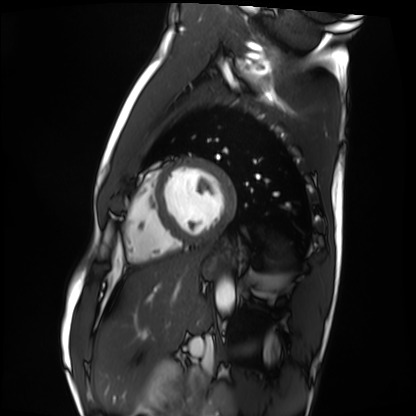
modality: cardiac MRI
cohort: healthy volunteer